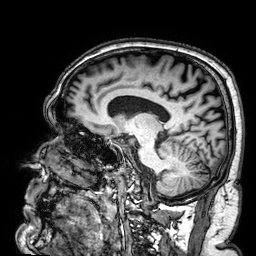
modality=3 Tesla brain MRI
series=3D T1-weighted
study=ring-enhancing brain masses